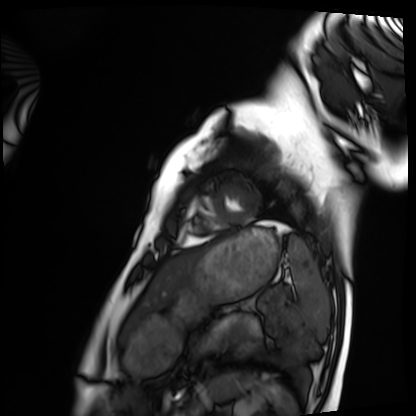
Cardiac MRI. Subject group: healthy volunteer.